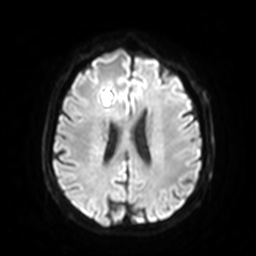
modality: 3 Tesla brain MRI | study: ring-enhancing brain masses.